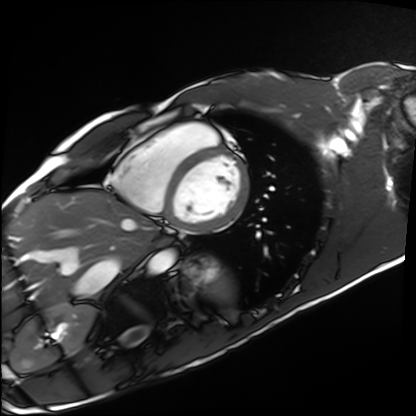
modality: cardiac MRI; subject group: healthy volunteer.